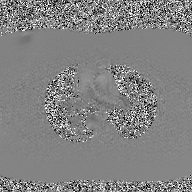
Case summary:
2D phase-contrast cine MRI of the ascending aorta, GAN super-resolution reconstruction.